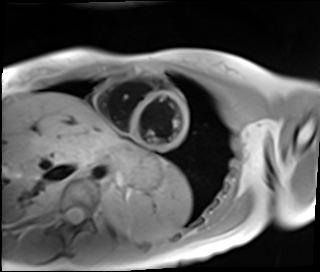
{
  "modality": "cardiac MR image of the myocardium",
  "cohort": "healthy volunteer"
}